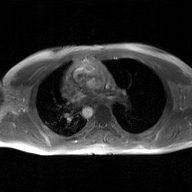
- modality: 2D phase-contrast cine MRI of the ascending aorta, GAN super-resolution reconstruction